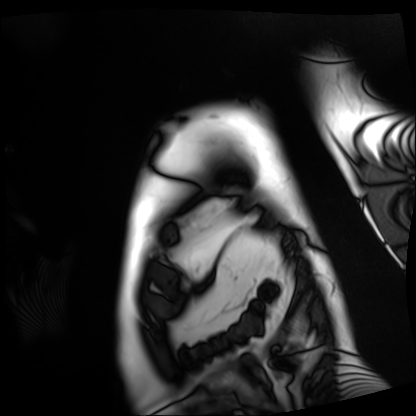
{
  "modality": "cardiac MRI",
  "cohort": "patient"
}